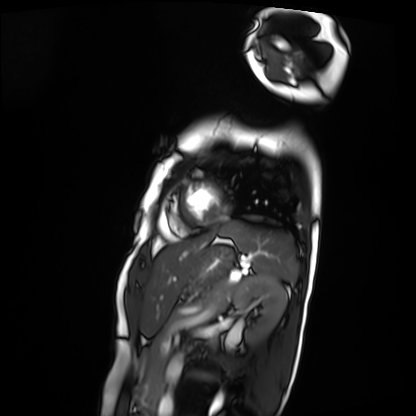
{
  "modality": "cardiac MRI",
  "cohort": "patient"
}